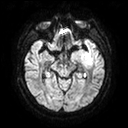
3 Tesla brain MRI. Series: diffusion tensor imaging (medium iso). Study: ring-enhancing brain masses.